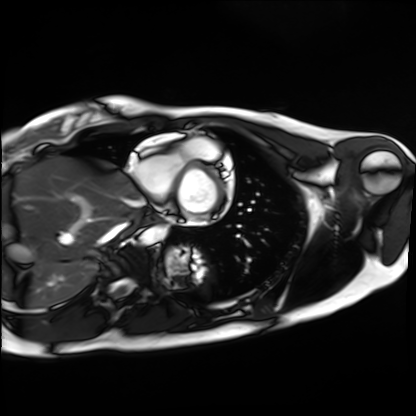
Case:
• modality · cardiac MRI
• subject group · healthy volunteer